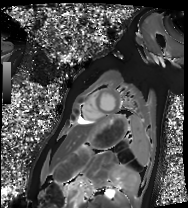
Clinical context: Cardiac MRI. Subject group: healthy volunteer.